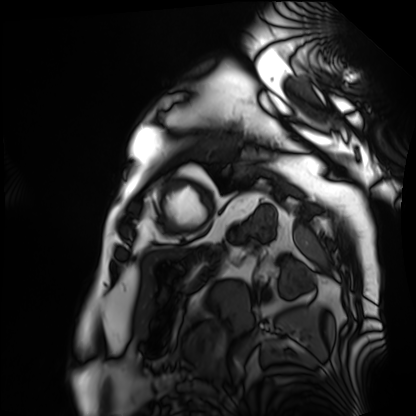
modality: cardiac MRI | subject group: patient.